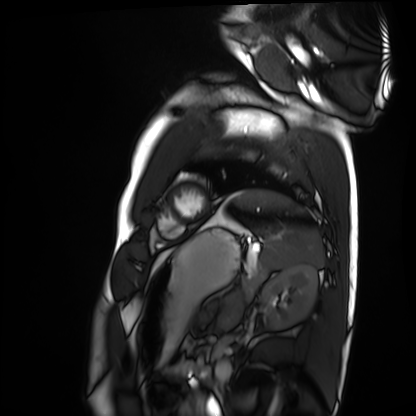
{"modality": "cardiac MRI", "cohort": "healthy volunteer"}